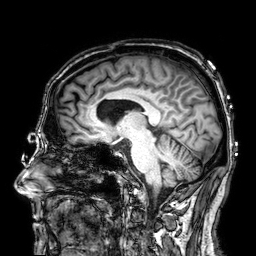
Clinical context:
3 Tesla brain MRI. Series: 3D T1-weighted. Study: ring-enhancing brain masses.